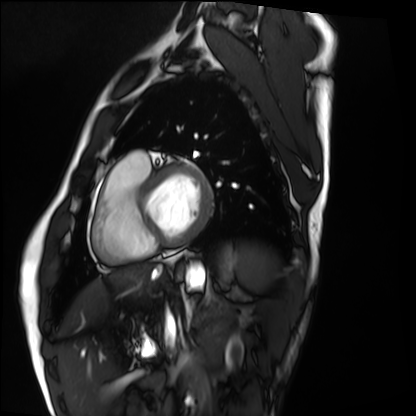
modality = cardiac MRI | subject group = healthy volunteer.